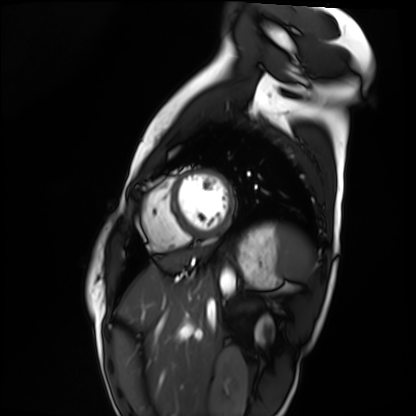
modality = cardiac MRI; subject group = healthy volunteer.